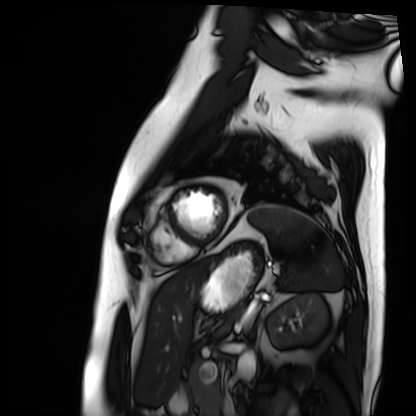
Cardiac MRI. Subject group: patient.